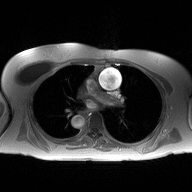
| field | value |
|---|---|
| modality | 2D phase-contrast cine MRI of the ascending aorta |